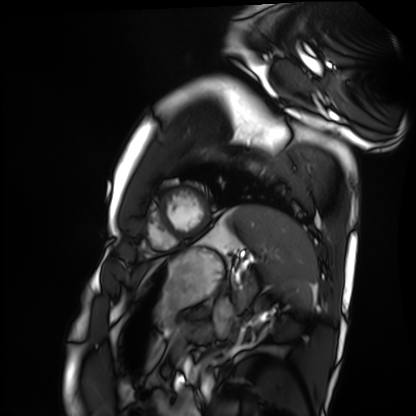
Case summary:
Cardiac MRI. Subject group: healthy volunteer.